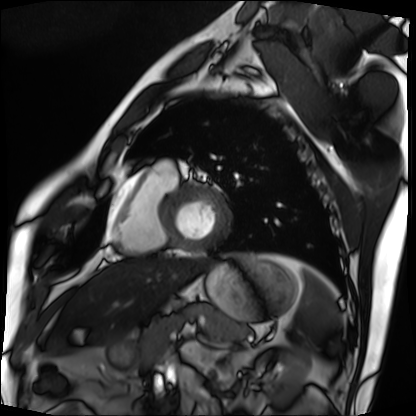
Cardiac MRI.
Subject group: patient.